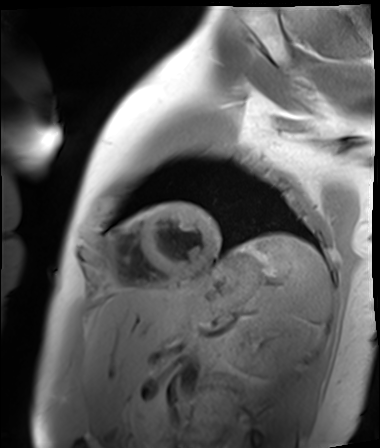
modality = cardiac MR image of the myocardium; subject cohort = healthy volunteer.